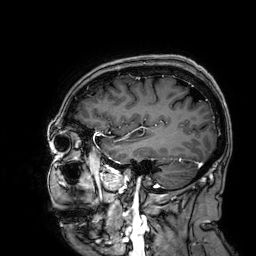
Q: What kind of scan is this?
A: 3 Tesla brain MRI.
Q: Series?
A: 3D T1-weighted.
Study: ring-enhancing brain masses.